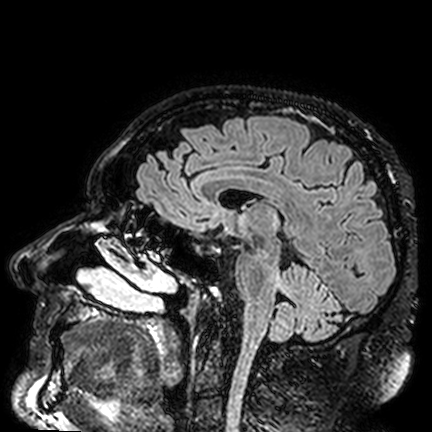
modality = 3 Tesla brain MRI | series = FLAIR VISTA | study = ring-enhancing brain masses.